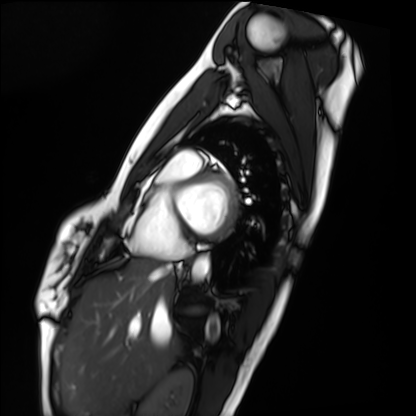
Summary: Cardiac MRI. Subject group: healthy volunteer.